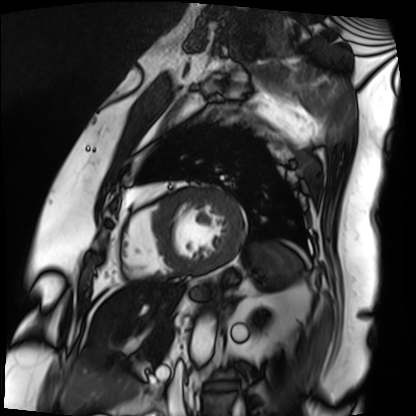
| field | value |
|---|---|
| modality | cardiac MRI |
| subject group | patient |